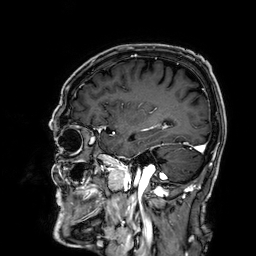
modality = 3 Tesla brain MRI; series = 3D T1-weighted; study = ring-enhancing brain masses.